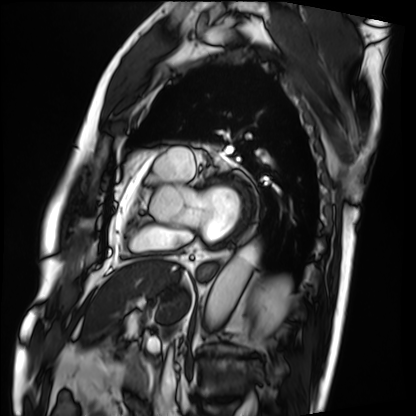
Summary:
Cardiac MRI. Subject group: patient.